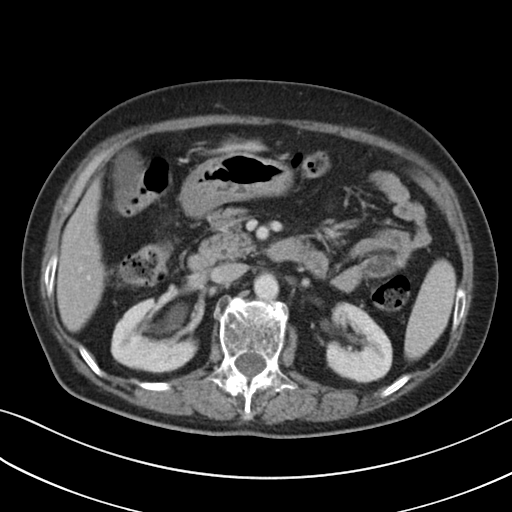
{
  "modality": {
    "type": "multiphase abdominal CT",
    "region": "liver",
    "phase": "portal venous"
  },
  "patient": {
    "sex": "female",
    "age": 76
  },
  "history": [
    "viral hepatitis"
  ]
}